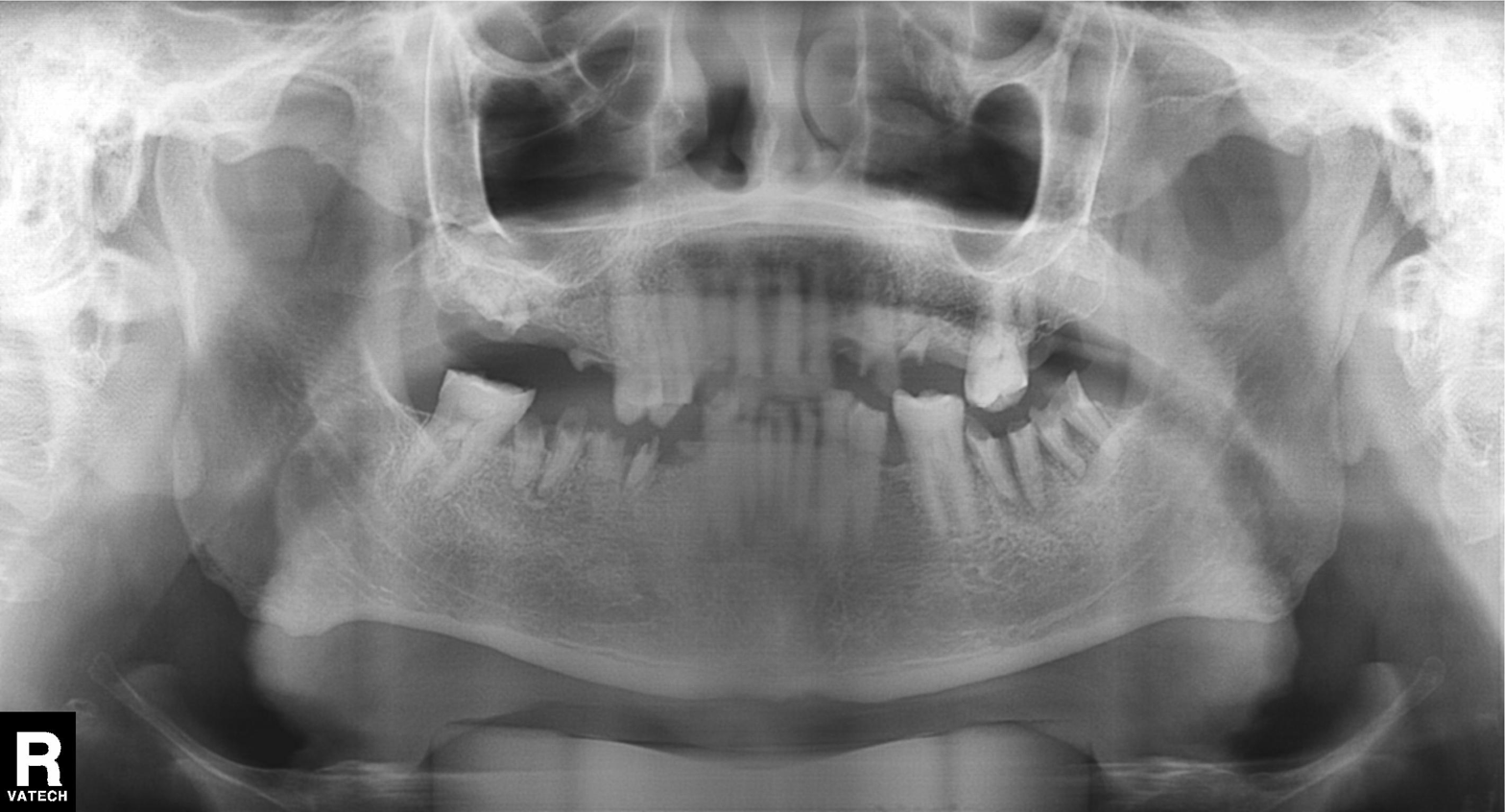
Q: What kind of scan is this?
A: Panoramic dental radiograph (orthopantomogram).
Q: What is the radiographic finding?
A: Alveolar bone loss.